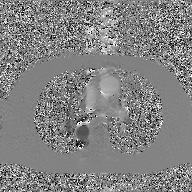
modality: 2D phase-contrast cine MRI of the ascending aorta, GAN super-resolution reconstruction.